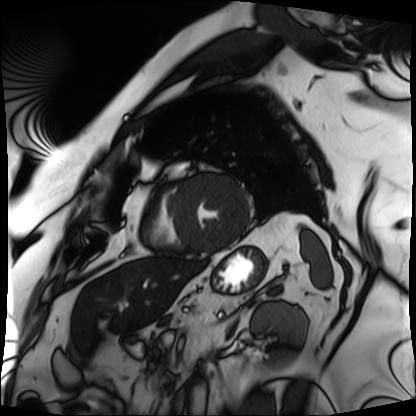
Case summary: Cardiac MRI. Subject group: patient.